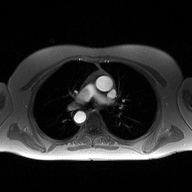
Case:
• modality — 2D phase-contrast cine MRI of the ascending aorta